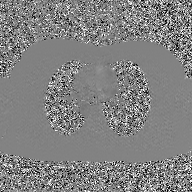
Q: What kind of scan is this?
A: 2D phase-contrast cine MRI of the ascending aorta, GAN super-resolution reconstruction.